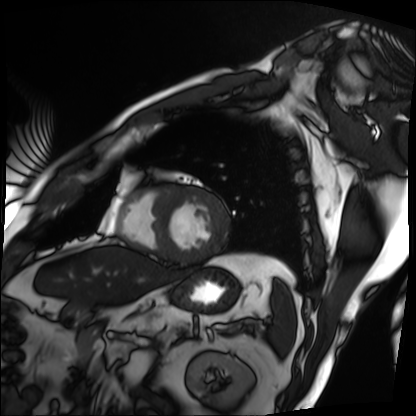
Cardiac MRI. Subject group: patient.